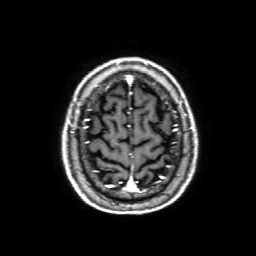
Clinical context:
3 Tesla brain MRI. Series: 3D T1-weighted with SENSE. Study: ring-enhancing brain masses.